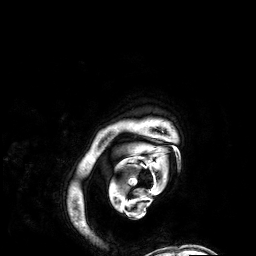
{"modality": {"type": "brain MRI", "field_strength": "3T"}, "series": "3D T1-weighted", "study_topic": "ring-enhancing brain masses"}